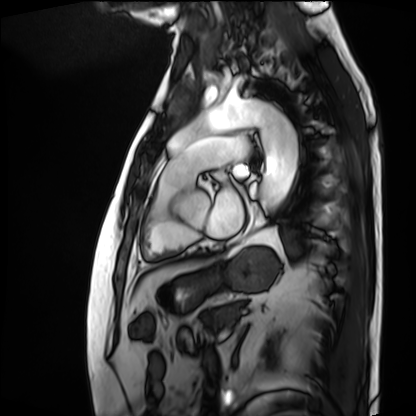
{
  "modality": "cardiac MRI",
  "cohort": "patient"
}